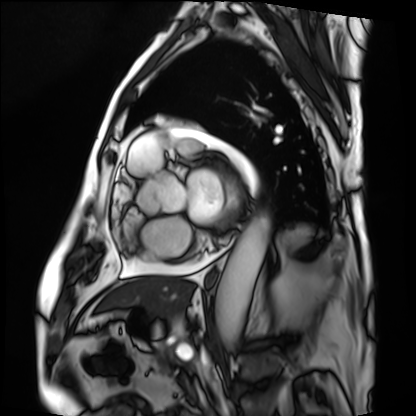
- modality: cardiac MRI
- subject group: patient